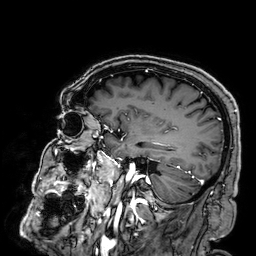
Case summary:
3 Tesla brain MRI. Series: 3D T1-weighted. Study: ring-enhancing brain masses.